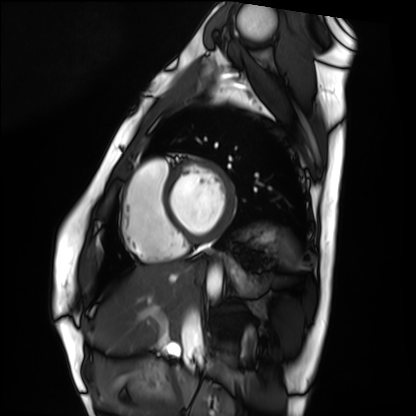
Case summary:
Cardiac MRI. Subject group: healthy volunteer.